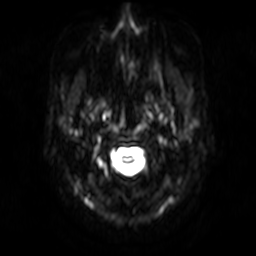
3 Tesla brain MRI. Series: diffusion-weighted imaging. Study: ring-enhancing brain masses.